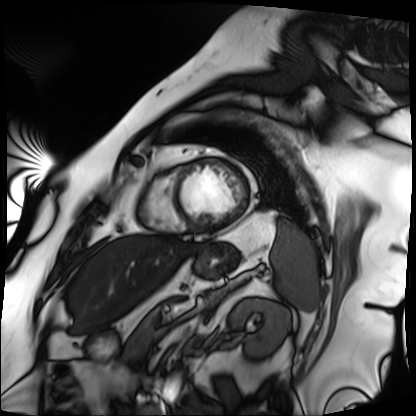
Summary: Cardiac MRI. Subject group: patient.